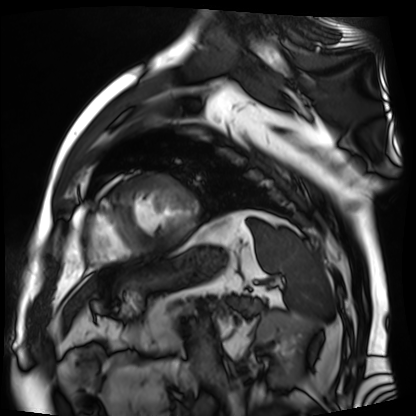
Summary:
Cardiac MR image of the myocardium. Subject cohort: cardiac patient.